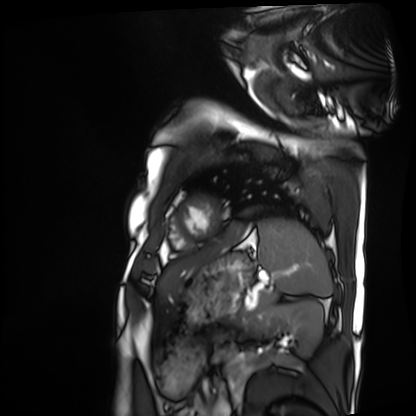
Summary: Cardiac MRI. Subject group: patient.